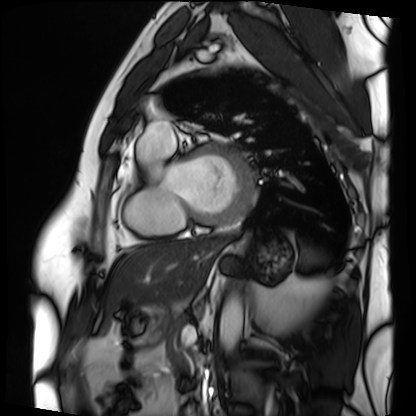
Cardiac MRI. Subject group: patient.